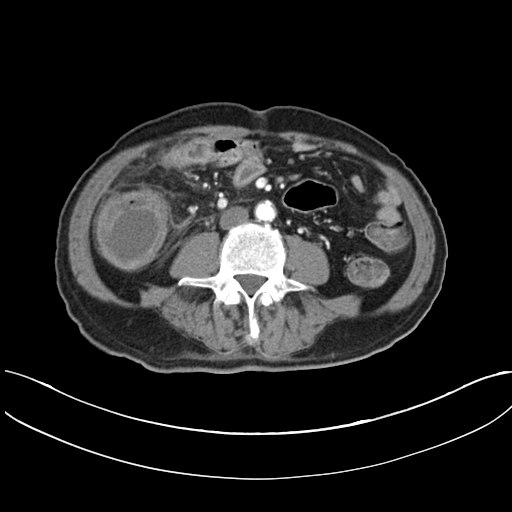
Q: What kind of scan is this?
A: Multiphase abdominal CT, liver, arterial phase.
Q: Patient?
A: Male, age 60.